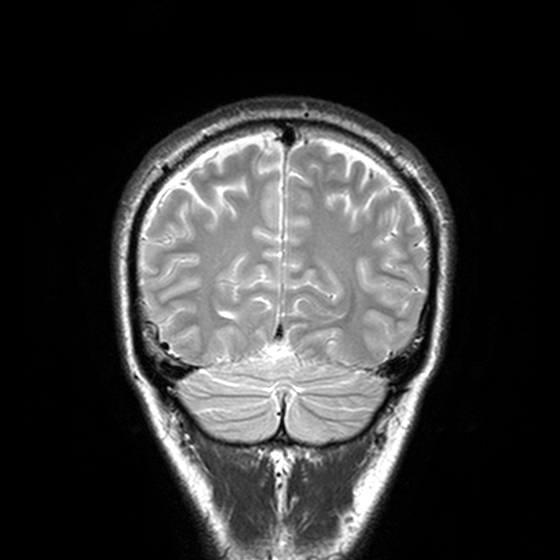
3 Tesla brain MRI.
Series: T2-weighted turbo spin echo, 3 mm.
Study: ring-enhancing brain masses.